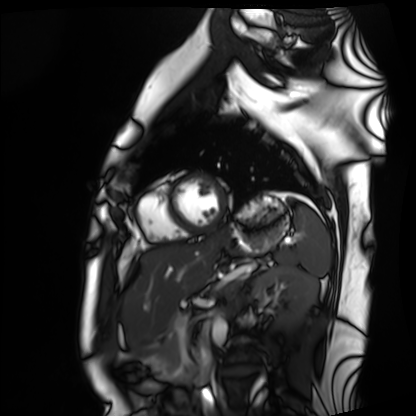
  modality: cardiac MRI
  cohort: healthy volunteer